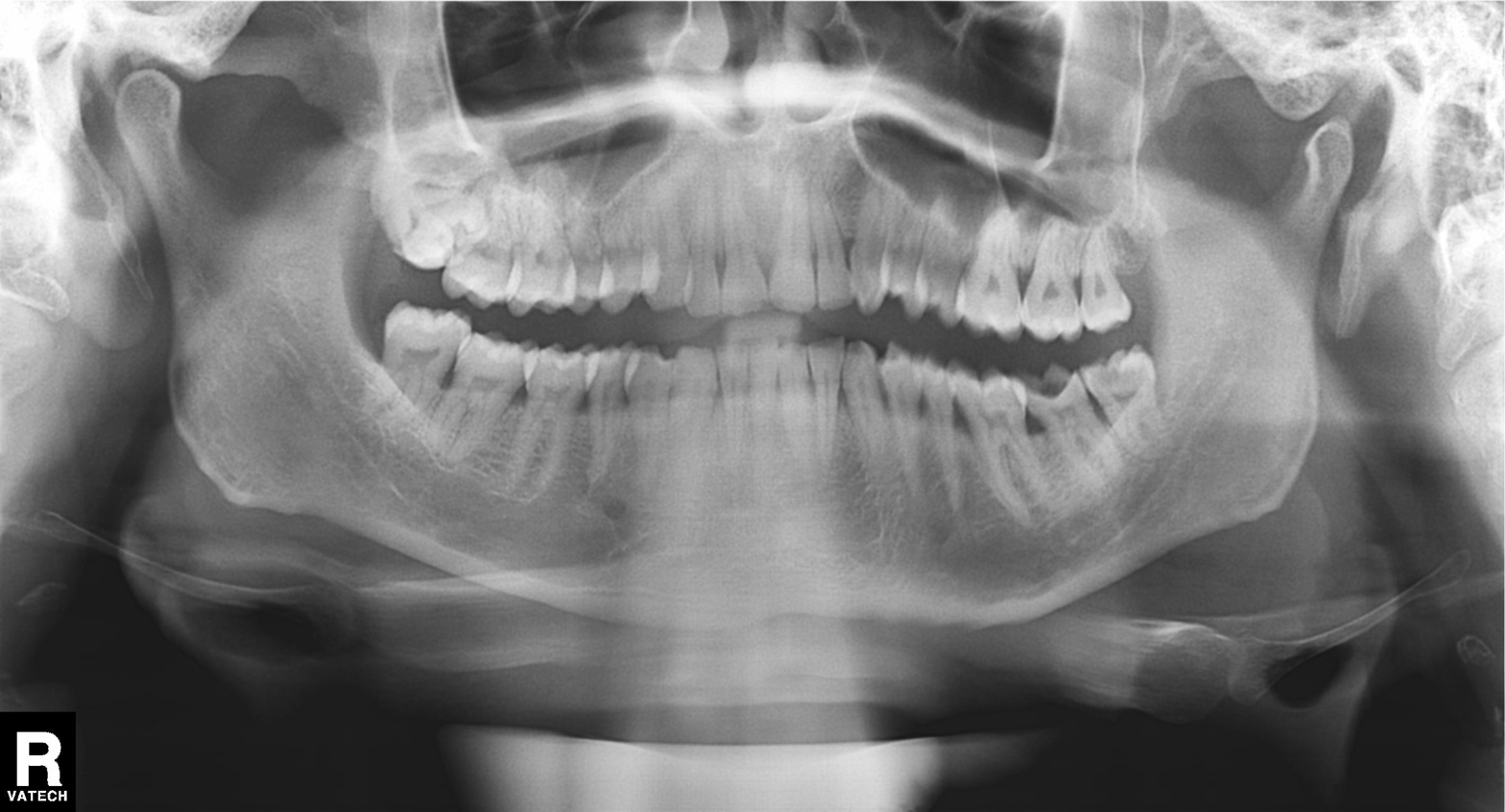
Summary: Panoramic dental radiograph (orthopantomogram).
Assessment: Alveolar bone loss.